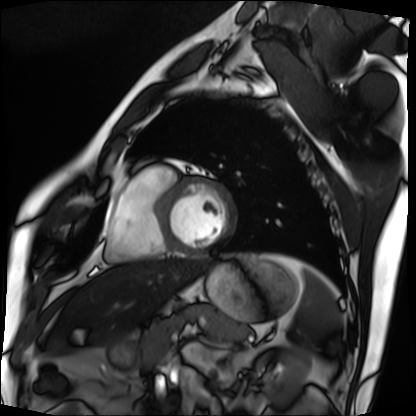
Clinical context:
Cardiac MRI. Subject group: patient.